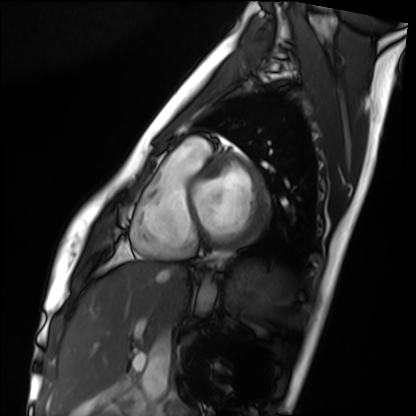
Clinical context: Cardiac MRI. Subject group: healthy volunteer.